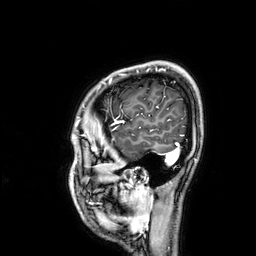
3 Tesla brain MRI.
Series: 3D T1-weighted.
Study: ring-enhancing brain masses.